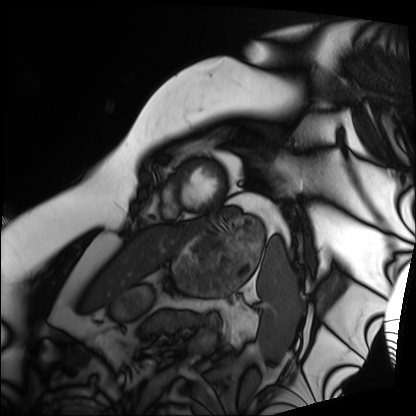
Cardiac MRI. Subject group: patient.